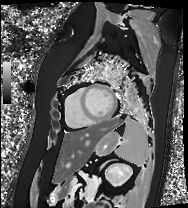
Case:
- modality — cardiac MRI
- subject group — patient